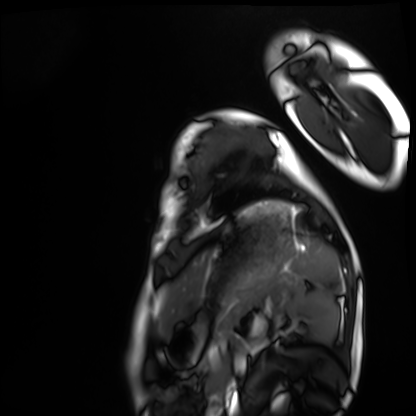
{"modality": "cardiac MRI", "cohort": "healthy volunteer"}